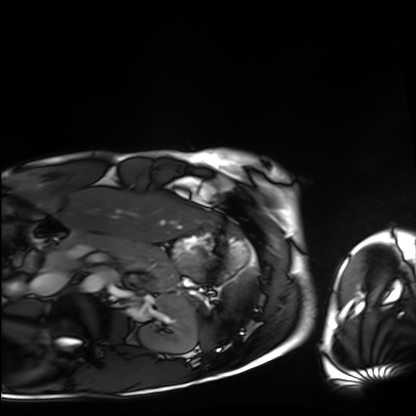
Cardiac MRI.
Subject group: healthy volunteer.